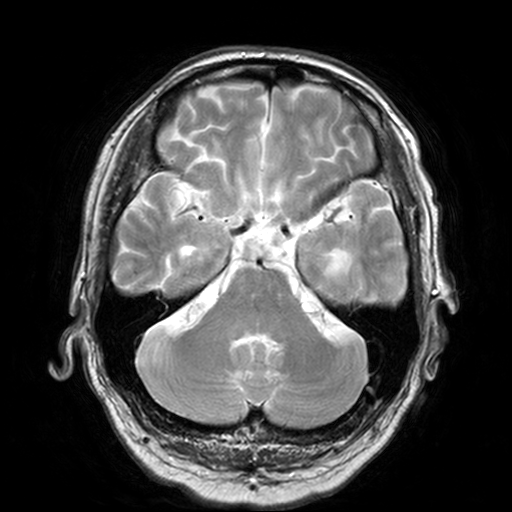
3 Tesla brain MRI. Series: T2-weighted turbo spin echo, 3 mm. Study: ring-enhancing brain masses.